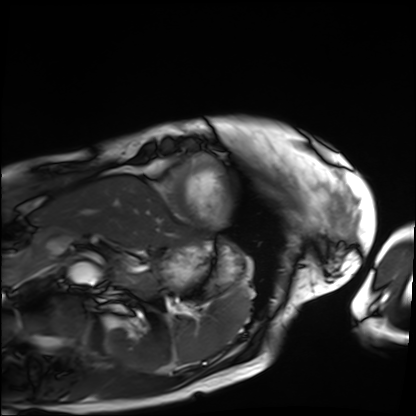
Case:
• modality · cardiac MRI
• subject group · patient